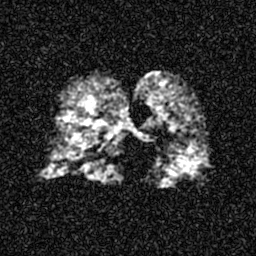
Hyperpolarized 129Xe ventilation MRI of the lungs.
SNR level 5 of 8 (the deposit holds this scan as its native image and as seven SNR-degraded versions).